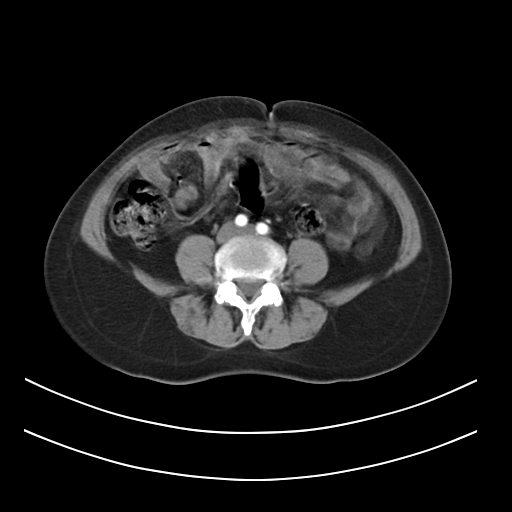
* modality · multiphase abdominal CT, liver, arterial phase
* patient · female, age 54
* history · prior chemotherapy